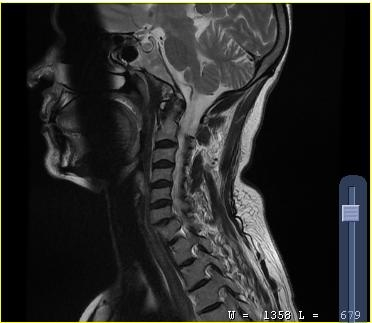
<record>
<modality>
  <type>cervical spine MRI</type>
</modality>
<study_topic>cervical spondylosis</study_topic>
</record>